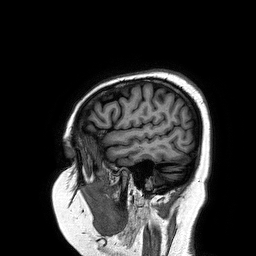
modality: 3 Tesla brain MRI; series: 3D T1-weighted turbo field echo; study: ring-enhancing brain masses.